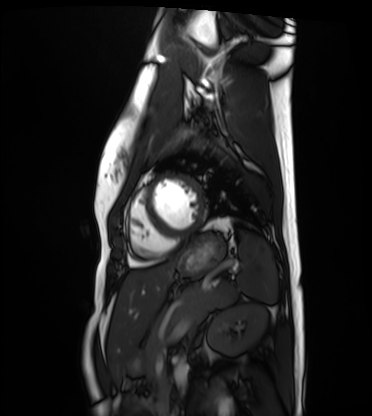
Cardiac MRI.
Subject group: healthy volunteer.